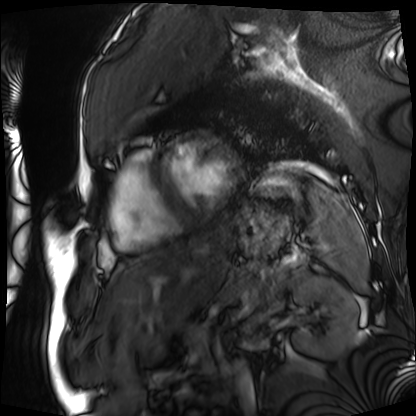
{
  "modality": "cardiac MRI",
  "cohort": "patient"
}